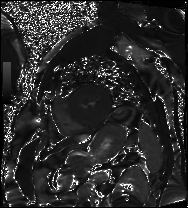
Case summary: Cardiac MRI. Subject group: patient.